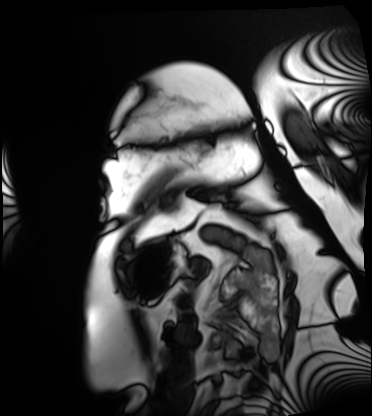
Case summary: Cardiac MRI. Subject group: patient.